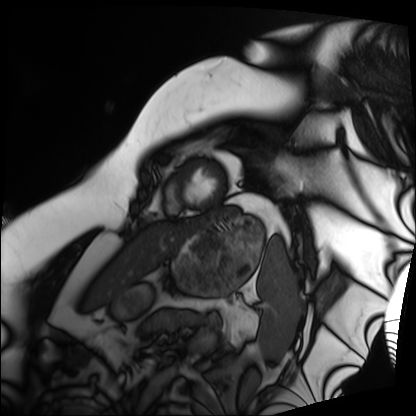
  modality: cardiac MRI
  cohort: patient